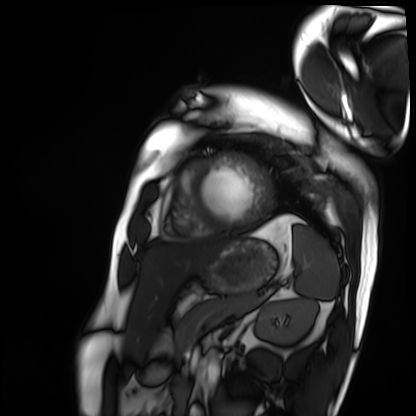
Cardiac MRI. Subject group: patient.